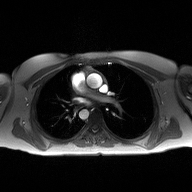
Q: What kind of scan is this?
A: 2D phase-contrast cine MRI of the ascending aorta.